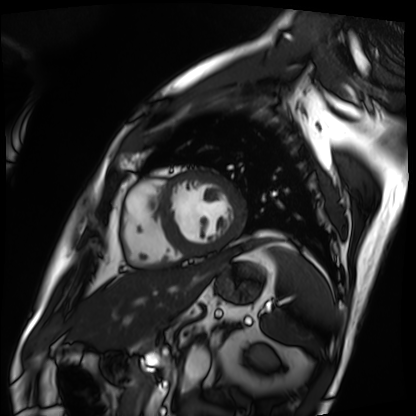
Cardiac MRI.
Subject group: patient.